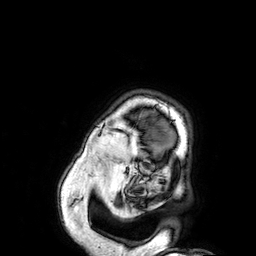
Q: What kind of scan is this?
A: 3 Tesla brain MRI.
Q: Series?
A: 3D T1-weighted.
Study: ring-enhancing brain masses.